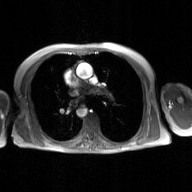
Q: What kind of scan is this?
A: 2D phase-contrast cine MRI of the ascending aorta, GAN super-resolution reconstruction.